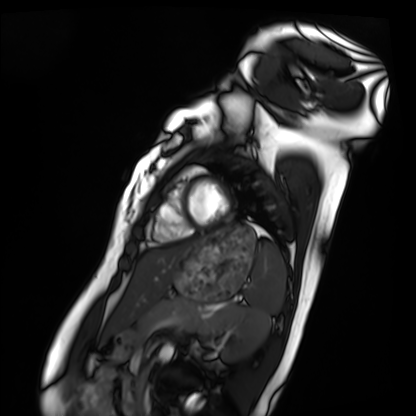
Cardiac MRI.
Subject group: healthy volunteer.